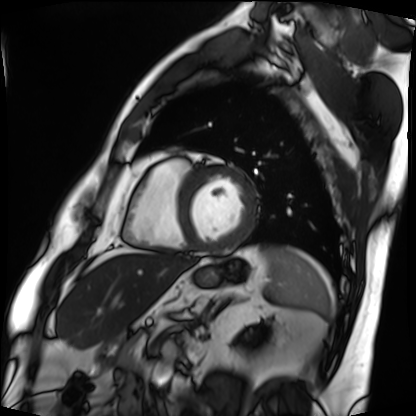
modality: cardiac MRI; subject group: patient.